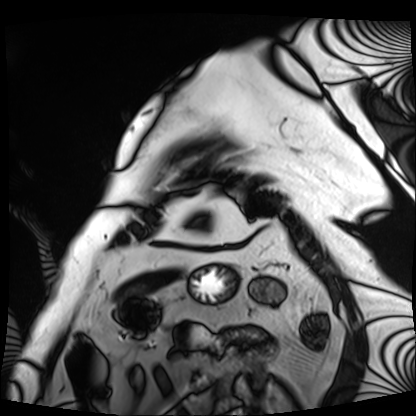
Cardiac MRI.
Subject group: patient.